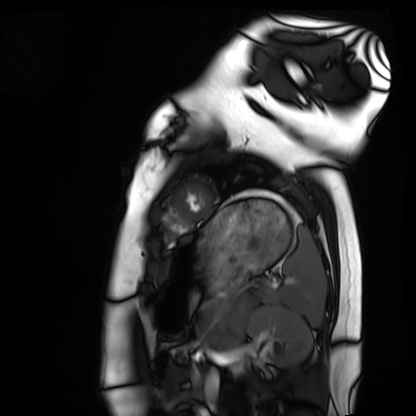
Clinical context:
Cardiac MRI. Subject group: healthy volunteer.